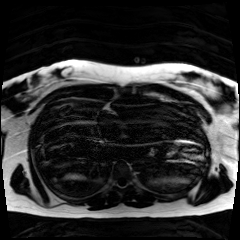
modality: chemical-shift-encoded cardiac MRI